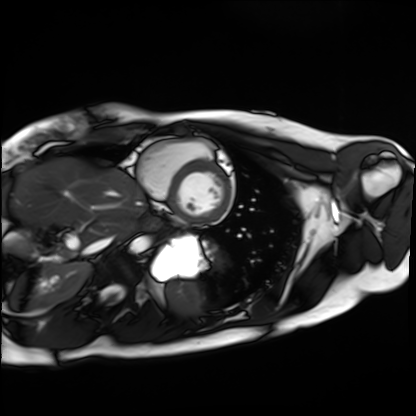
Cardiac MRI.
Subject group: healthy volunteer.